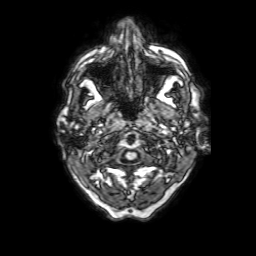
Case:
– modality — 3 Tesla brain MRI
– series — 3D T1-weighted with SENSE
– study — ring-enhancing brain masses